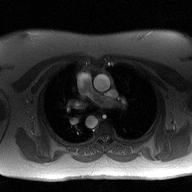
modality — 2D phase-contrast cine MRI of the ascending aorta.